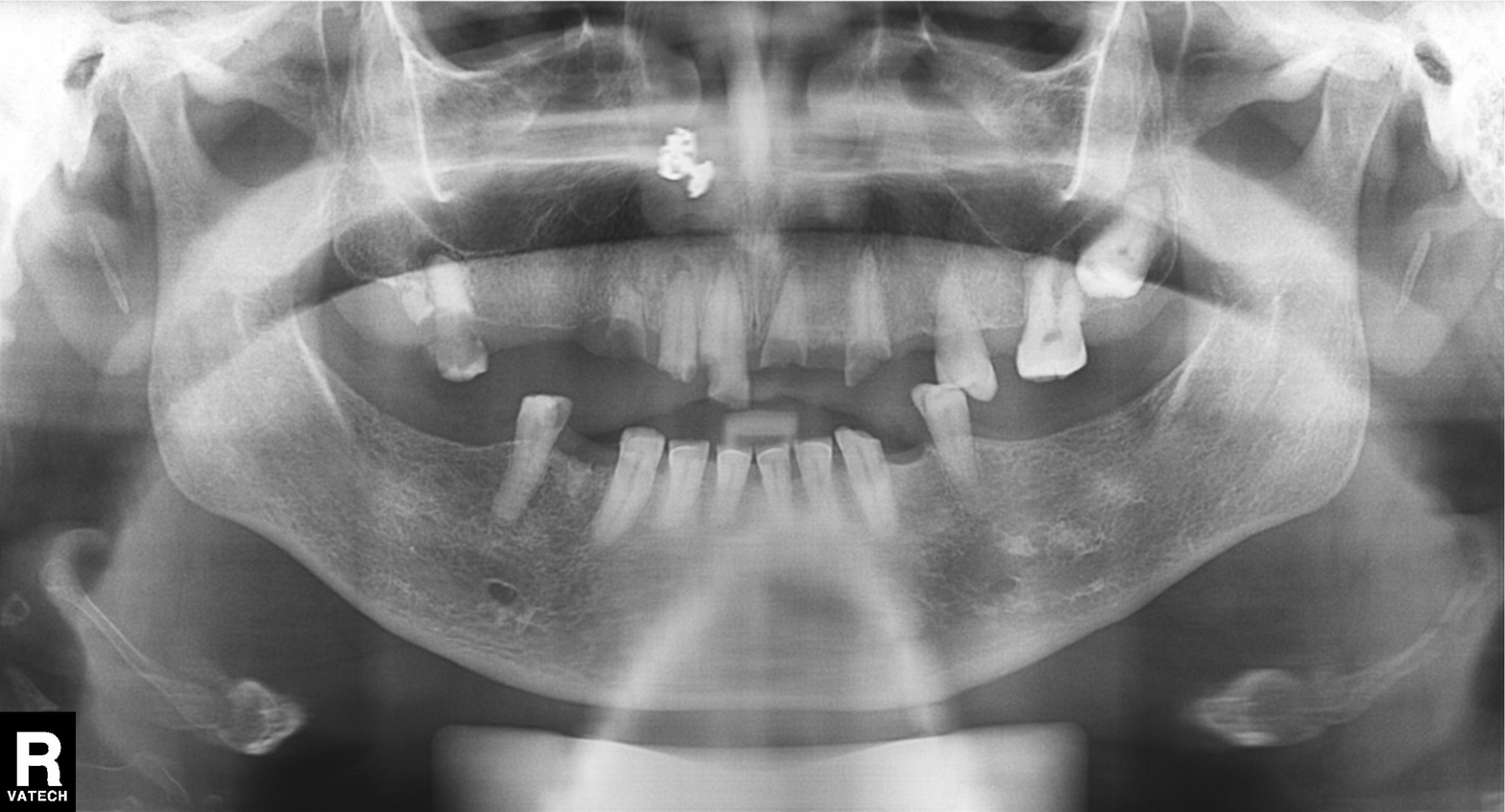
modality: panoramic dental radiograph (orthopantomogram), finding: alveolar bone loss.